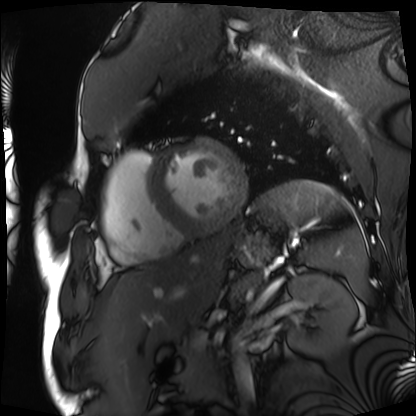
Cardiac MRI. Subject group: patient.